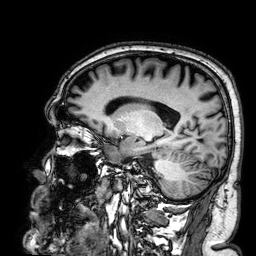
Case summary:
3 Tesla brain MRI. Series: 3D T1-weighted. Study: ring-enhancing brain masses.